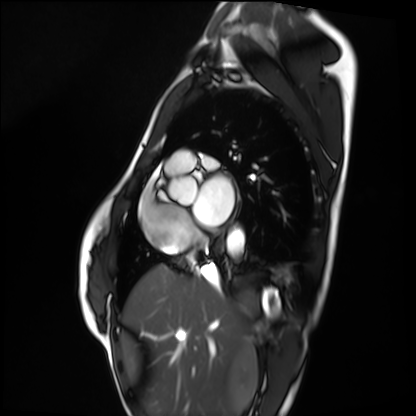
Q: What kind of scan is this?
A: Cardiac MRI.
Subject group: healthy volunteer.